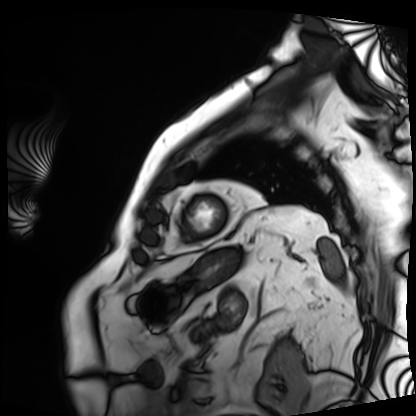
{"modality": "cardiac MRI", "cohort": "patient"}